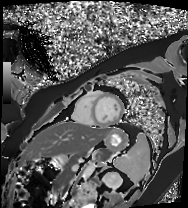
Cardiac MR image of the myocardium. Subject cohort: healthy volunteer.